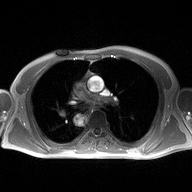
2D phase-contrast cine MRI of the ascending aorta, high-resolution GRAPPA acquisition.